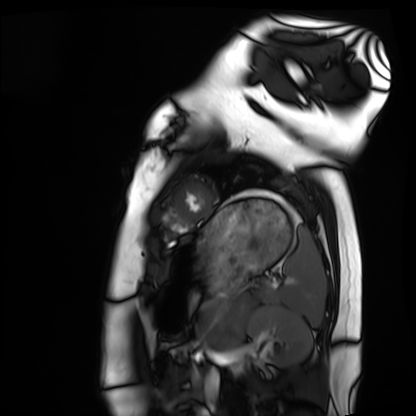
Cardiac MRI. Subject group: healthy volunteer.